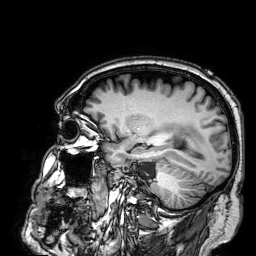
{"modality": {"type": "brain MRI", "field_strength": "3T"}, "series": "3D T1-weighted", "study_topic": "ring-enhancing brain masses"}